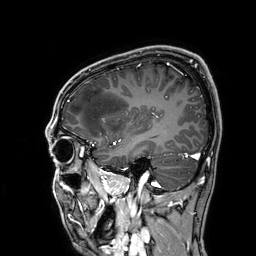
3 Tesla brain MRI. Series: 3D T1-weighted. Study: ring-enhancing brain masses.